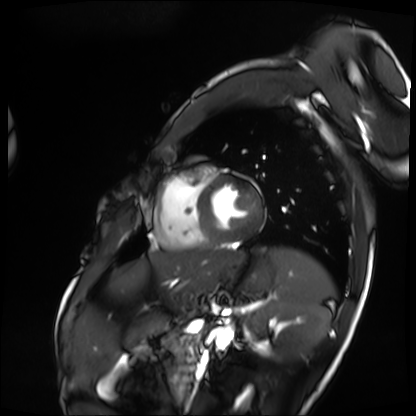
modality=cardiac MRI; subject group=patient.